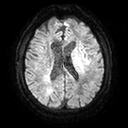
3 Tesla brain MRI. Series: diffusion tensor imaging (medium iso). Study: ring-enhancing brain masses.